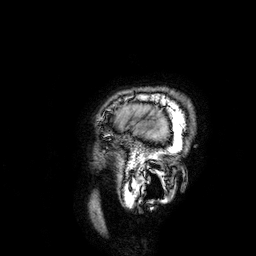
Q: What kind of scan is this?
A: 3 Tesla brain MRI.
Study: ring-enhancing brain masses.